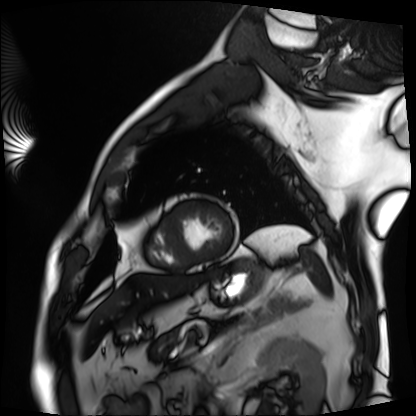
modality: cardiac MRI | subject group: patient.